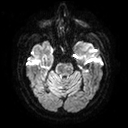
Q: What kind of scan is this?
A: 3 Tesla brain MRI.
Q: Series?
A: Diffusion tensor imaging (medium iso).
Study: ring-enhancing brain masses.